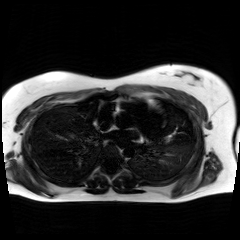
Q: What kind of scan is this?
A: Chemical-shift-encoded cardiac MRI.